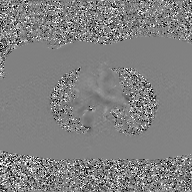
2D phase-contrast cine MRI of the ascending aorta, GAN super-resolution reconstruction.